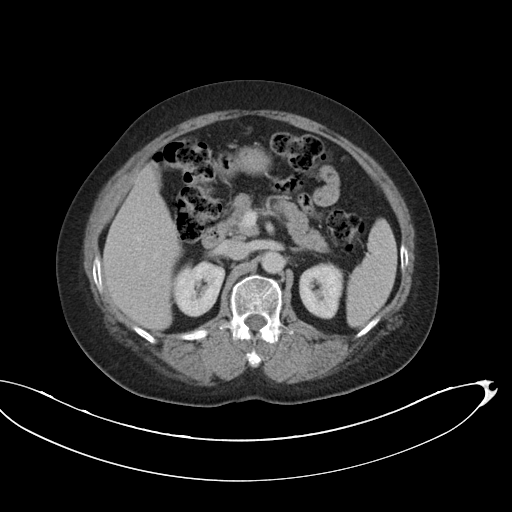
Q: What kind of scan is this?
A: Multiphase abdominal CT, liver, portal venous phase.
Q: Patient?
A: Female, age 63.
Q: History?
A: Viral hepatitis.